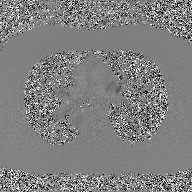
2D phase-contrast cine MRI of the ascending aorta, GAN super-resolution reconstruction.